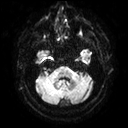
| field | value |
|---|---|
| modality | 3 Tesla brain MRI |
| series | diffusion tensor imaging (medium iso) |
| study | ring-enhancing brain masses |